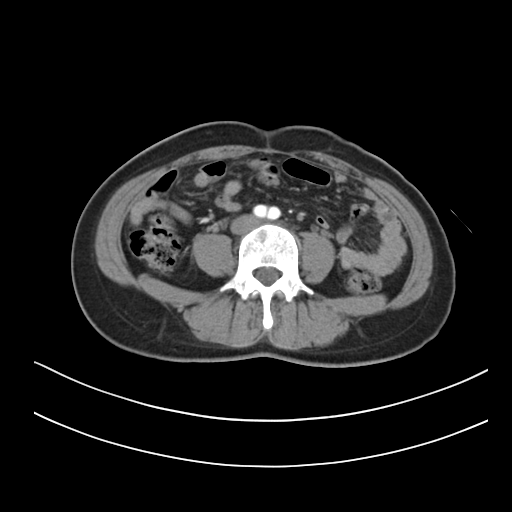
Case summary:
Multiphase abdominal CT, liver, arterial phase. Patient: female, age 38. History: prior chemotherapy.